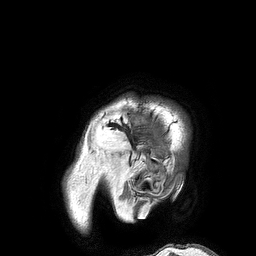
modality = 3 Tesla brain MRI | series = 3D T1-weighted turbo field echo | study = ring-enhancing brain masses.